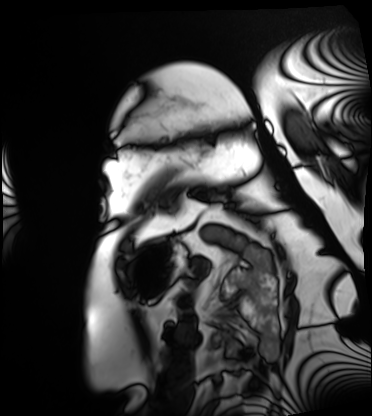
{"modality": "cardiac MRI", "cohort": "patient"}